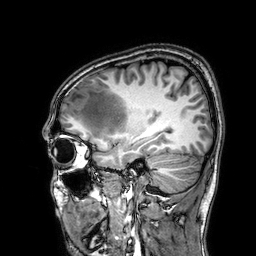
3 Tesla brain MRI. Series: 3D T1-weighted. Study: ring-enhancing brain masses.